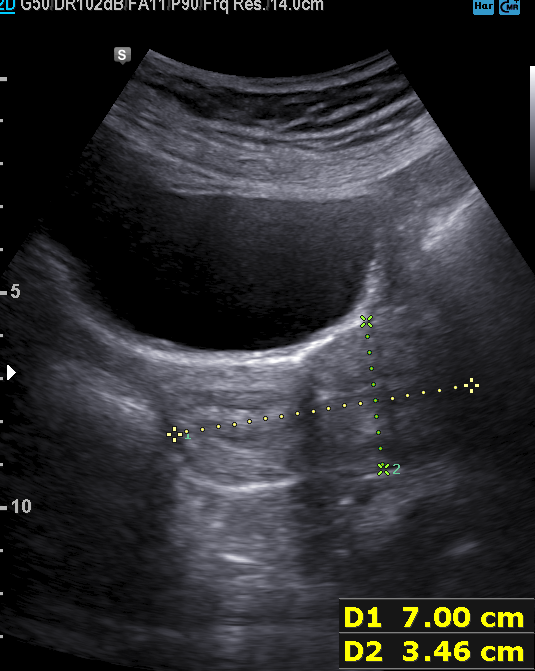
• modality: genitourinary ultrasound